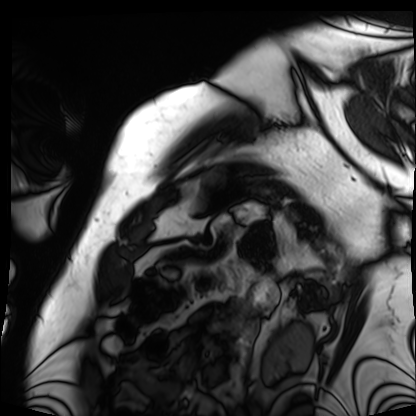
modality: cardiac MRI, subject group: patient.